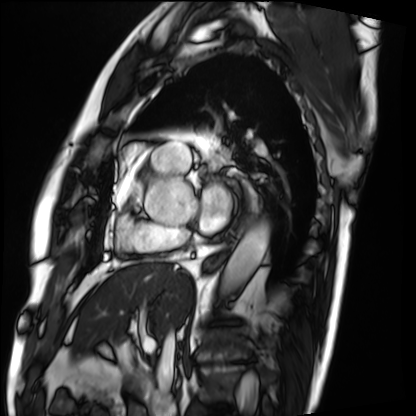
• modality — cardiac MRI
• subject group — patient